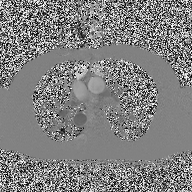
Q: What kind of scan is this?
A: 2D phase-contrast cine MRI of the ascending aorta.